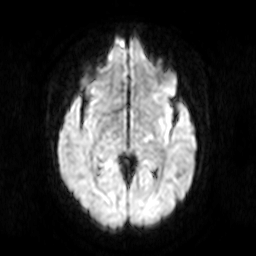
3 Tesla brain MRI. Series: diffusion-weighted imaging. Study: ring-enhancing brain masses.